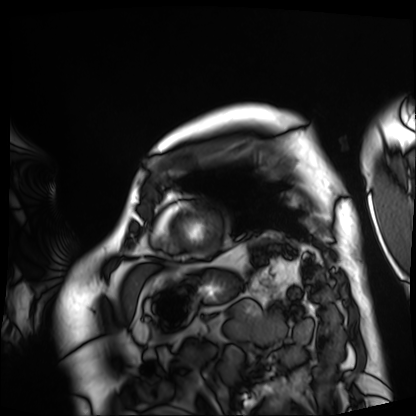
modality=cardiac MRI | subject group=patient.